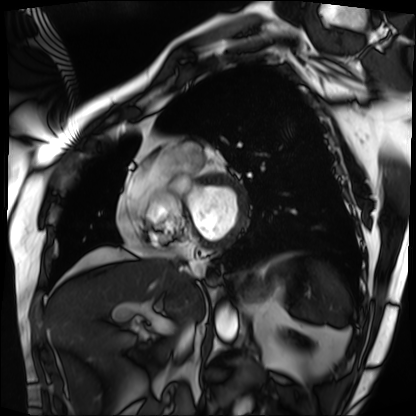
modality: cardiac MRI | subject group: patient.